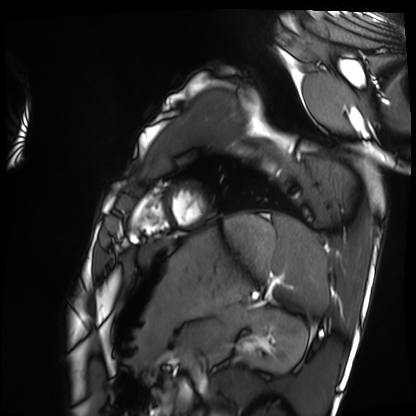
Cardiac MRI.
Subject group: healthy volunteer.